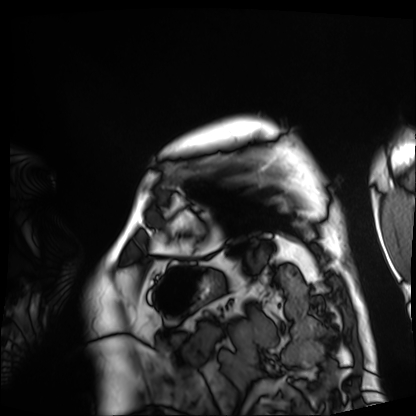
Cardiac MRI.
Subject group: patient.